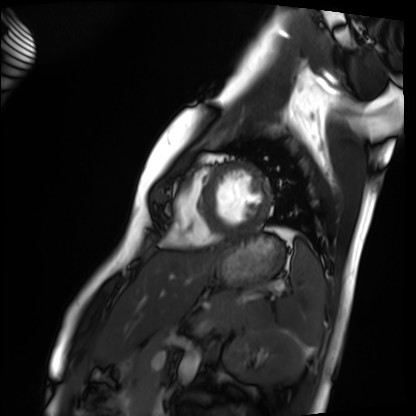
Q: What kind of scan is this?
A: Cardiac MRI.
Subject group: healthy volunteer.